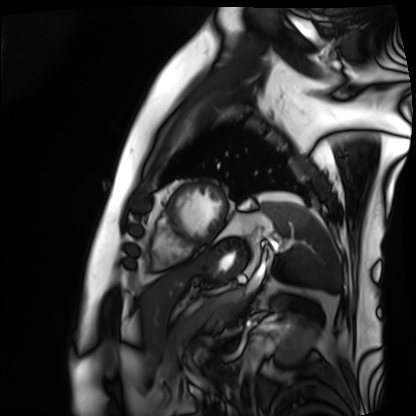
• modality · cardiac MRI
• subject group · patient